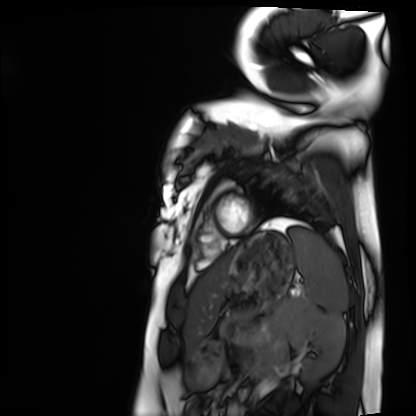
Cardiac MRI.
Subject group: healthy volunteer.